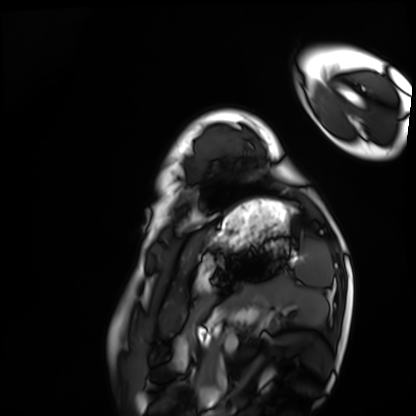
Q: What kind of scan is this?
A: Cardiac MRI.
Subject group: healthy volunteer.